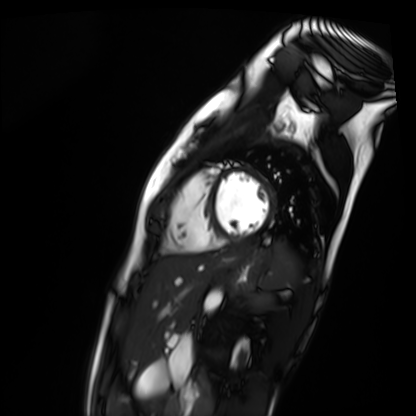
Summary: Cardiac MR image of the myocardium. Subject cohort: healthy volunteer.